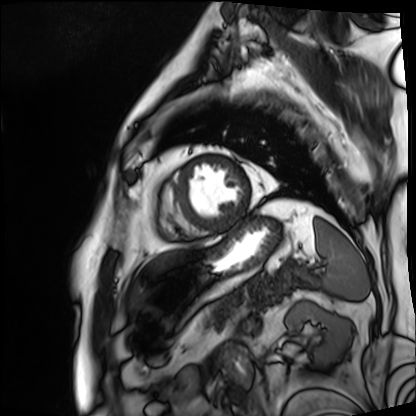
Q: What kind of scan is this?
A: Cardiac MRI.
Subject group: patient.